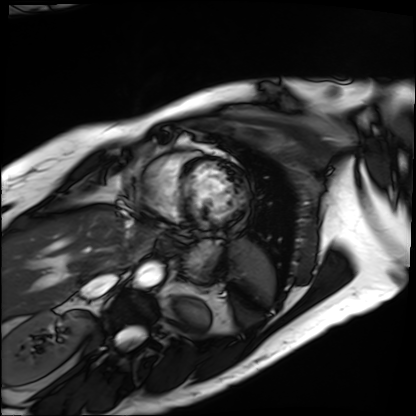
modality: cardiac MRI; subject group: patient.